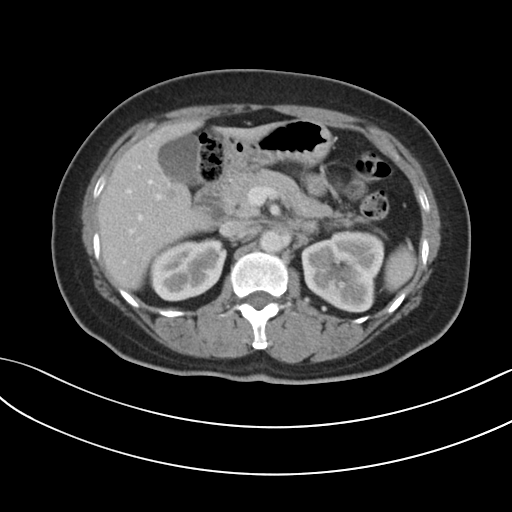
* modality · multiphase abdominal CT, liver, portal venous phase
* patient · female, age 48